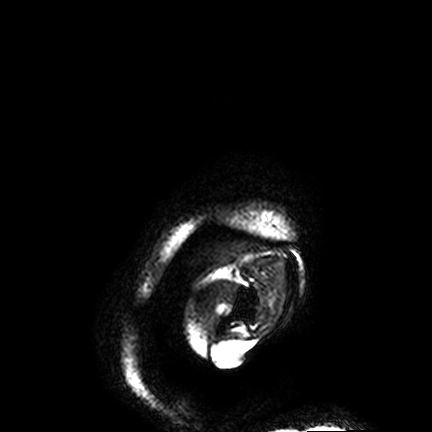
modality: 3 Tesla brain MRI; series: FLAIR VISTA; study: ring-enhancing brain masses.